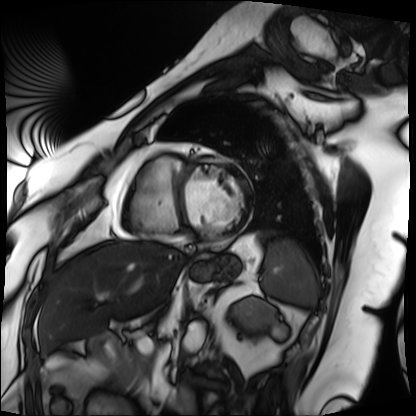
Summary:
Cardiac MRI. Subject group: patient.